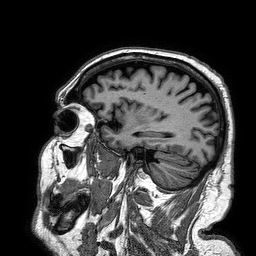
3 Tesla brain MRI. Series: 3D T1-weighted turbo field echo. Study: ring-enhancing brain masses.